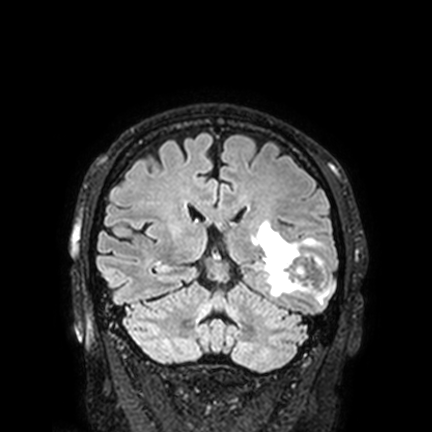
| field | value |
|---|---|
| modality | 3 Tesla brain MRI |
| series | FLAIR VISTA with SENSE |
| study | ring-enhancing brain masses |